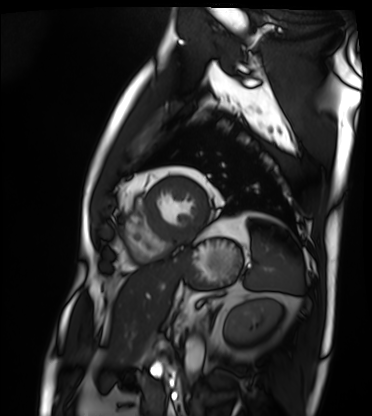
| field | value |
|---|---|
| modality | cardiac MRI |
| subject group | patient |